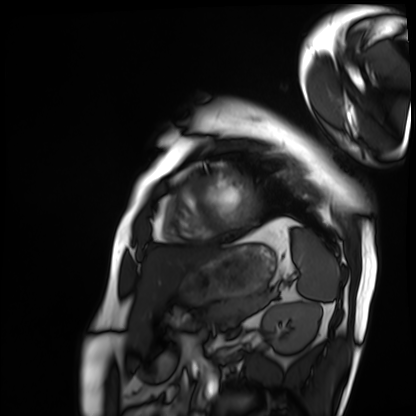
Summary: Cardiac MRI. Subject group: patient.